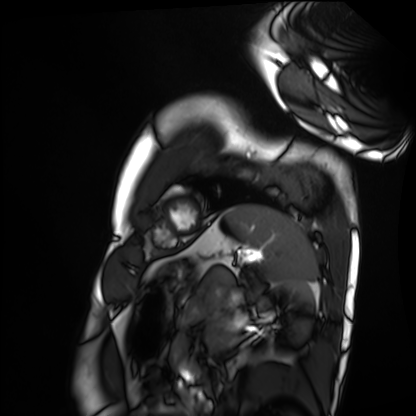
Q: What kind of scan is this?
A: Cardiac MRI.
Subject group: healthy volunteer.